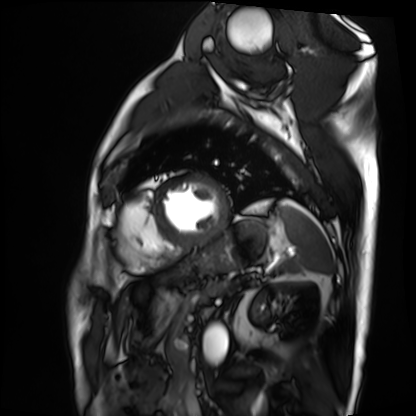
Cardiac MRI.
Subject group: patient.